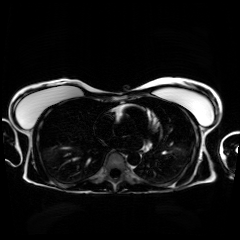
Summary:
Chemical-shift-encoded cardiac MRI.